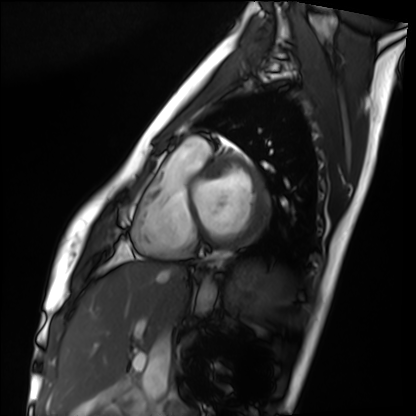
Q: What kind of scan is this?
A: Cardiac MRI.
Subject group: healthy volunteer.